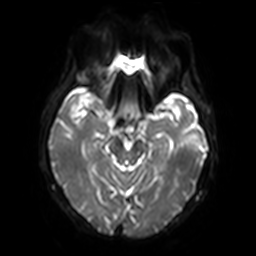
{"modality": {"type": "brain MRI", "field_strength": "3T"}, "series": "diffusion-weighted imaging with SENSE (WIP)", "study_topic": "ring-enhancing brain masses"}